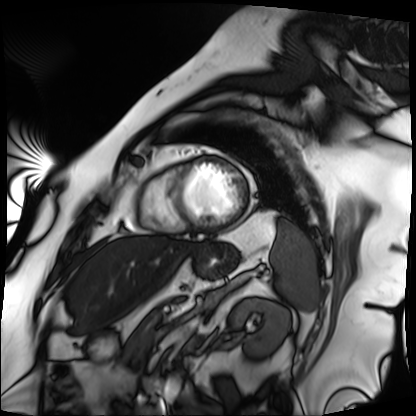
Cardiac MRI. Subject group: patient.